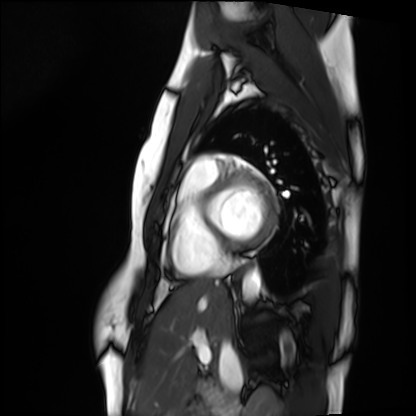
Cardiac MRI. Subject group: healthy volunteer.